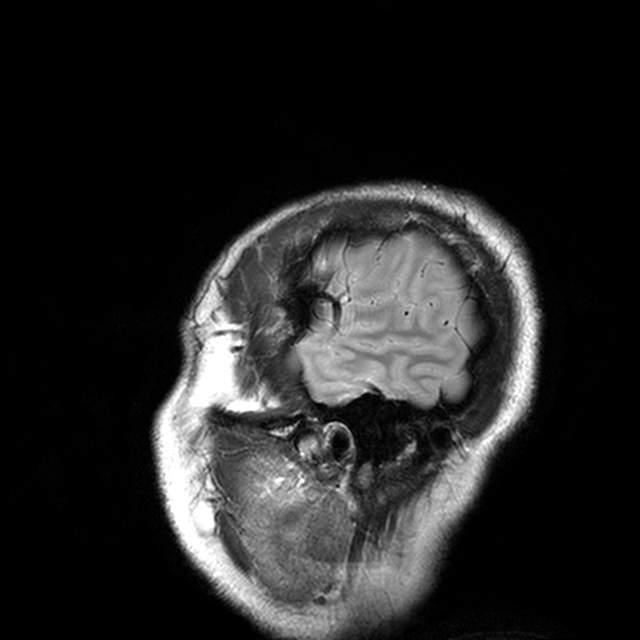
3 Tesla brain MRI. Series: T2-weighted turbo spin echo with CLEAR. Study: ring-enhancing brain masses.